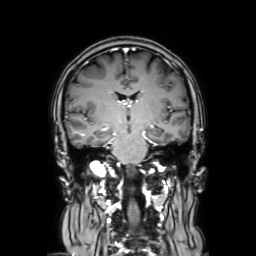
* modality — 3 Tesla brain MRI
* series — coronal with contrast
* study — ring-enhancing brain masses